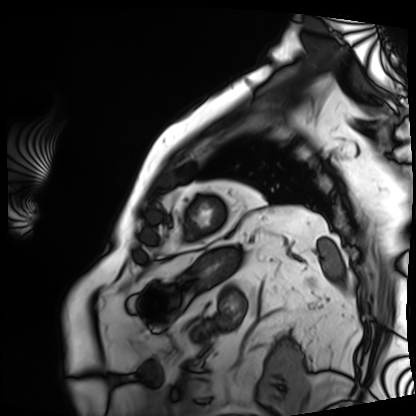
Cardiac MRI.
Subject group: patient.